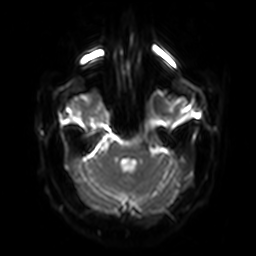
Case:
* modality: 3 Tesla brain MRI
* series: diffusion-weighted imaging with SENSE (WIP)
* study: ring-enhancing brain masses